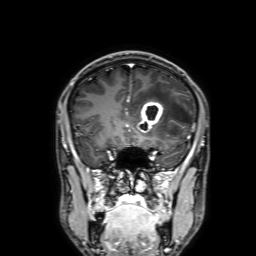
| field | value |
|---|---|
| modality | 3 Tesla brain MRI |
| series | 3D T1-weighted with SENSE |
| study | ring-enhancing brain masses |